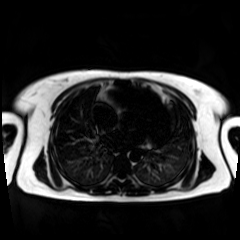
Case summary: Chemical-shift-encoded cardiac MRI.